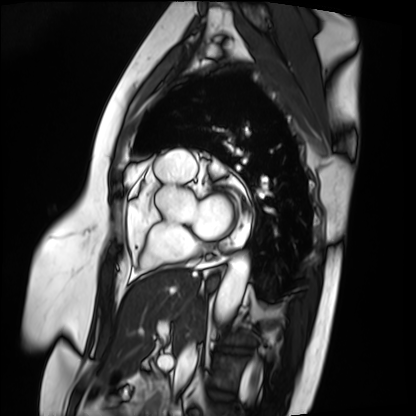
modality = cardiac MRI; subject group = patient.